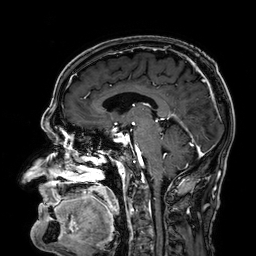
3 Tesla brain MRI. Series: 3D T1-weighted. Study: ring-enhancing brain masses.